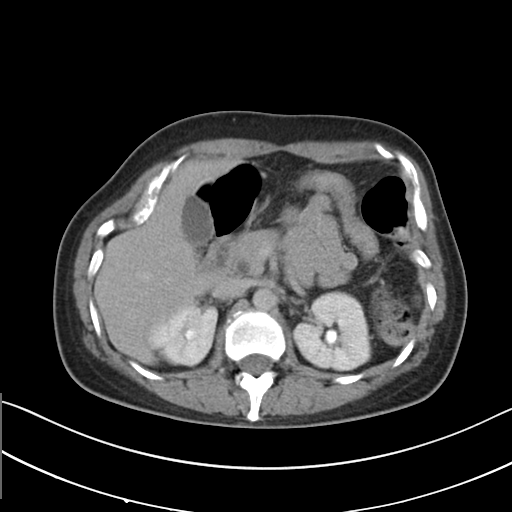
Multiphase abdominal CT, liver, delayed phase.